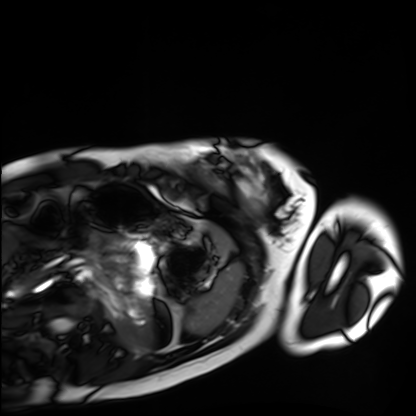
Q: What kind of scan is this?
A: Cardiac MRI.
Subject group: healthy volunteer.